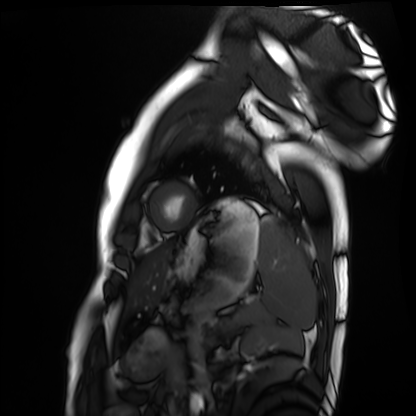
Cardiac MRI.
Subject group: healthy volunteer.